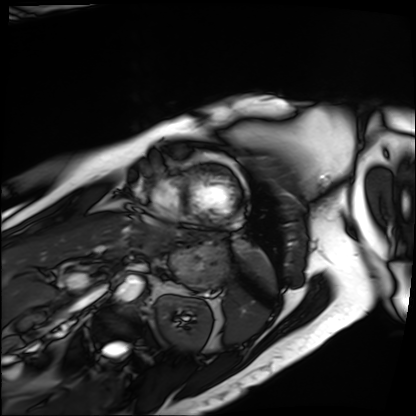
modality=cardiac MRI | subject group=patient.